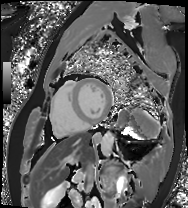
Q: What kind of scan is this?
A: Cardiac MRI.
Subject group: patient.